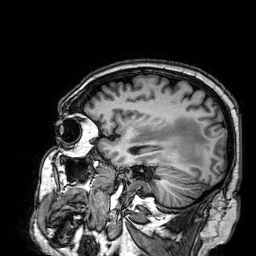
Q: What kind of scan is this?
A: 3 Tesla brain MRI.
Q: Series?
A: 3D T1-weighted.
Study: ring-enhancing brain masses.